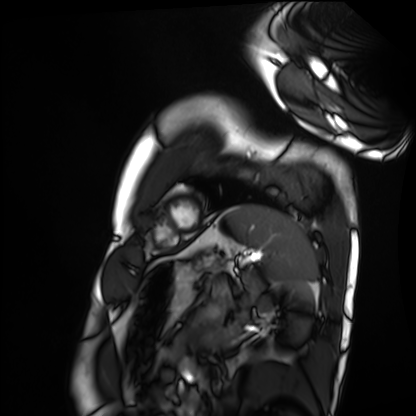
Case:
– modality — cardiac MRI
– subject group — healthy volunteer